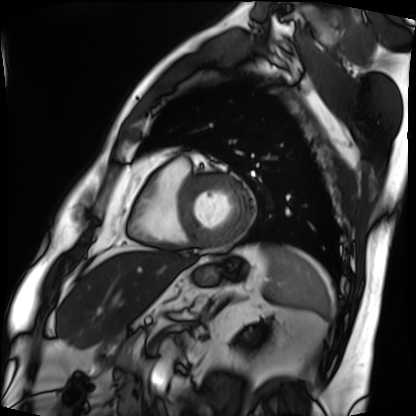
Case:
• modality — cardiac MRI
• subject group — patient